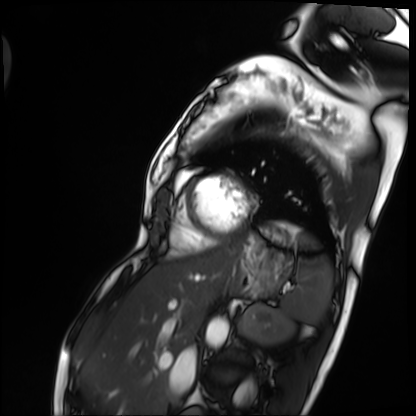
Cardiac MRI. Subject group: patient.